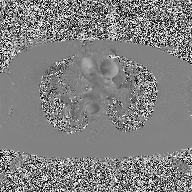
2D phase-contrast cine MRI of the ascending aorta, high-resolution GRAPPA acquisition.